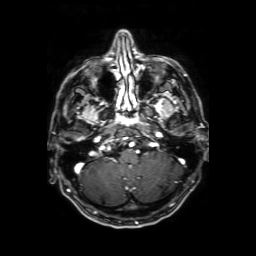
3 Tesla brain MRI. Series: axial T1-weighted fusion image. Study: ring-enhancing brain masses.